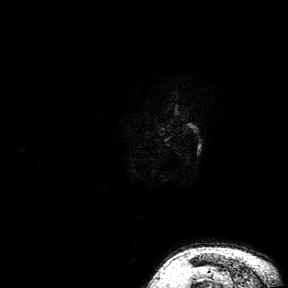
| field | value |
|---|---|
| modality | 3 Tesla brain MRI |
| series | 3D T1-weighted turbo field echo with SENSE |
| study | ring-enhancing brain masses |